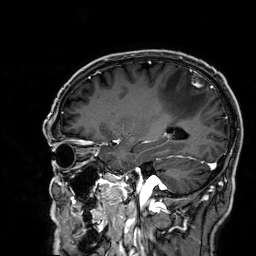
{"modality": {"type": "brain MRI", "field_strength": "3T"}, "series": "3D T1-weighted", "study_topic": "ring-enhancing brain masses"}